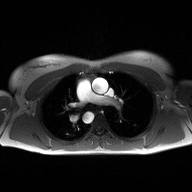
modality:
  type: 2D phase-contrast cine MRI
  region: ascending aorta
  reconstruction: high-resolution GRAPPA acquisition